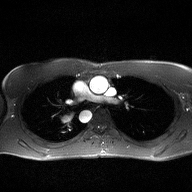
Case:
- modality — 2D phase-contrast cine MRI of the ascending aorta